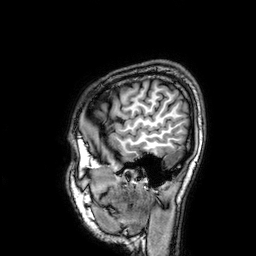
modality = 3 Tesla brain MRI; series = 3D T1-weighted; study = ring-enhancing brain masses.